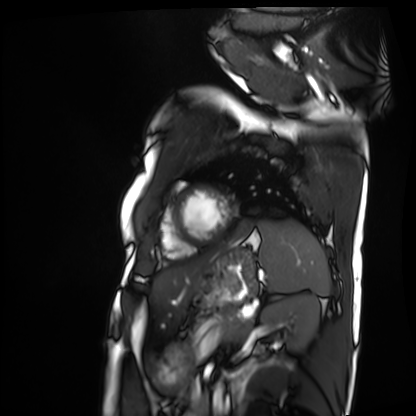
Cardiac MRI. Subject group: patient.